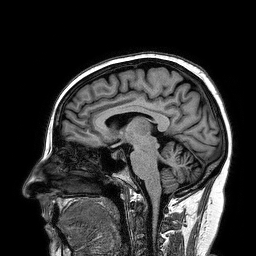
Summary:
3 Tesla brain MRI. Series: 3D T1-weighted turbo field echo. Study: ring-enhancing brain masses.